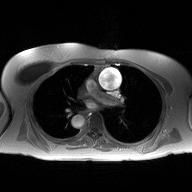
modality = 2D phase-contrast cine MRI of the ascending aorta.